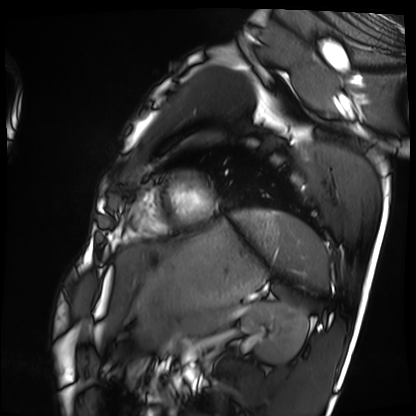
Summary: Cardiac MRI. Subject group: healthy volunteer.